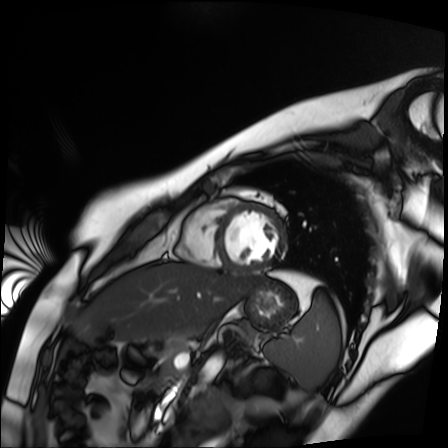
Summary: Cardiac MR image of the myocardium. Subject cohort: healthy volunteer.